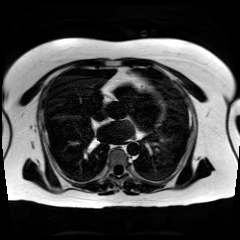
Chemical-shift-encoded cardiac MRI.